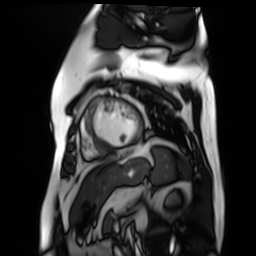
Cardiac MR image of the myocardium. Subject cohort: cardiac patient.